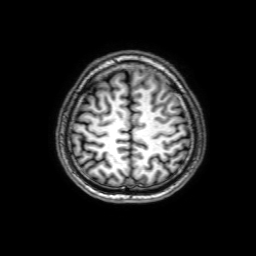
modality: 3 Tesla brain MRI | series: 3D T1-weighted with SENSE | study: ring-enhancing brain masses.